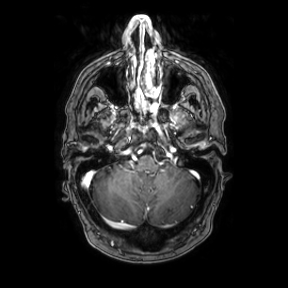
Summary: 3 Tesla brain MRI. Series: axial. Study: ring-enhancing brain masses.